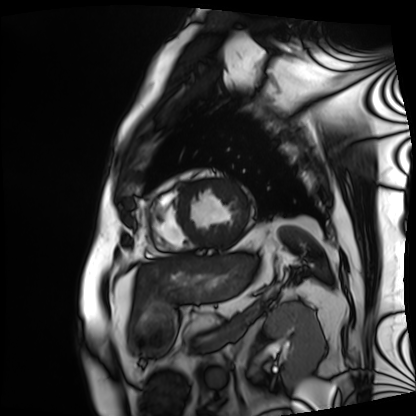
  modality: cardiac MRI
  cohort: patient